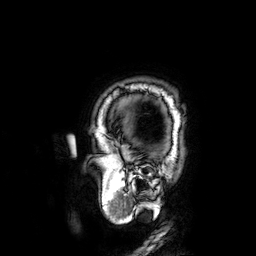
Q: What kind of scan is this?
A: 3 Tesla brain MRI.
Q: Series?
A: 3D T1-weighted.
Study: ring-enhancing brain masses.